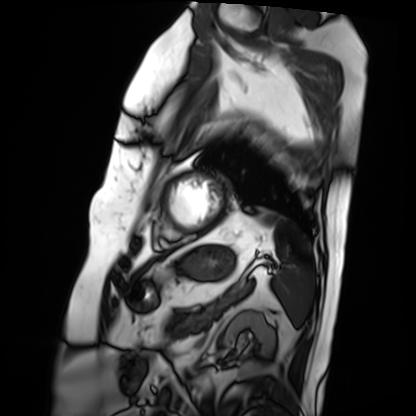
modality: cardiac MRI; subject group: patient.